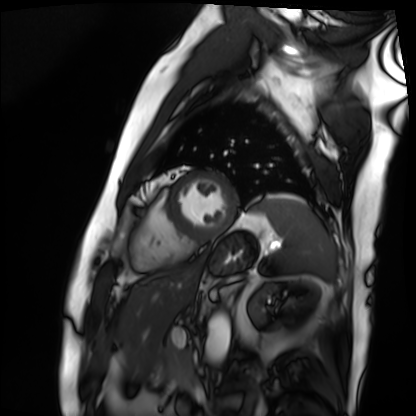
Clinical context: Cardiac MRI. Subject group: patient.